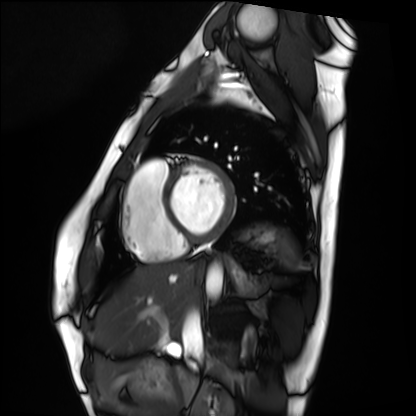
modality = cardiac MRI | subject group = healthy volunteer.